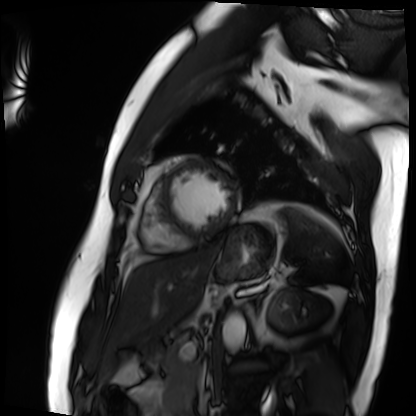
Summary: Cardiac MRI. Subject group: patient.